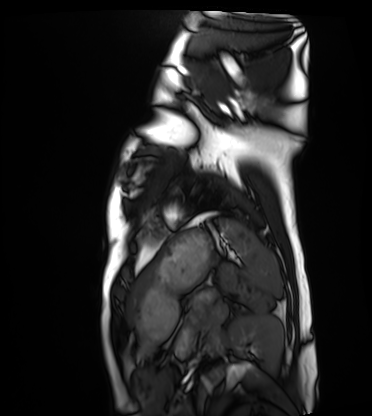
Cardiac MRI.
Subject group: healthy volunteer.